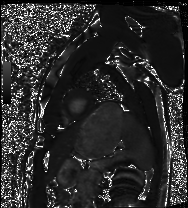
Summary: Cardiac MRI. Subject group: healthy volunteer.